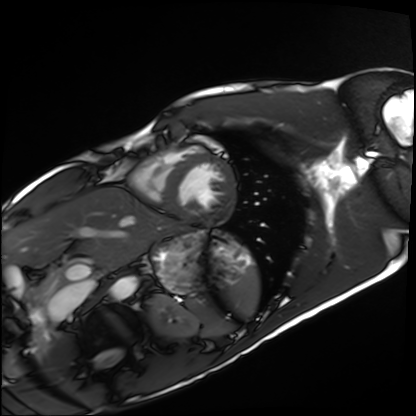
Cardiac MRI.
Subject group: healthy volunteer.